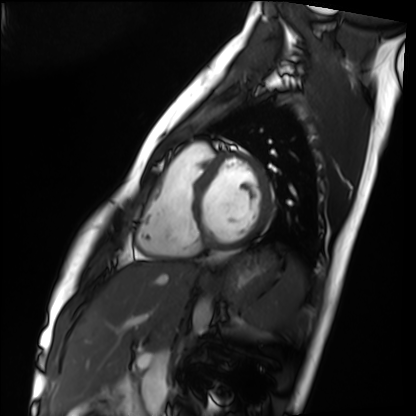
modality: cardiac MRI; subject group: healthy volunteer.